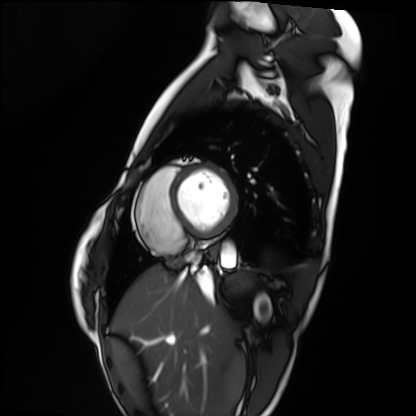
* modality: cardiac MRI
* subject group: healthy volunteer